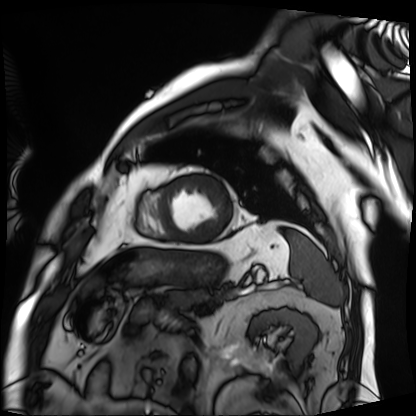
Cardiac MRI.
Subject group: patient.